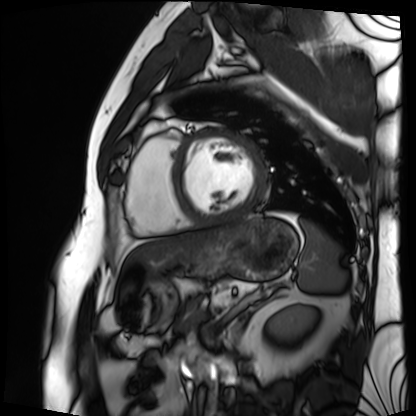
modality: cardiac MRI, subject group: patient.